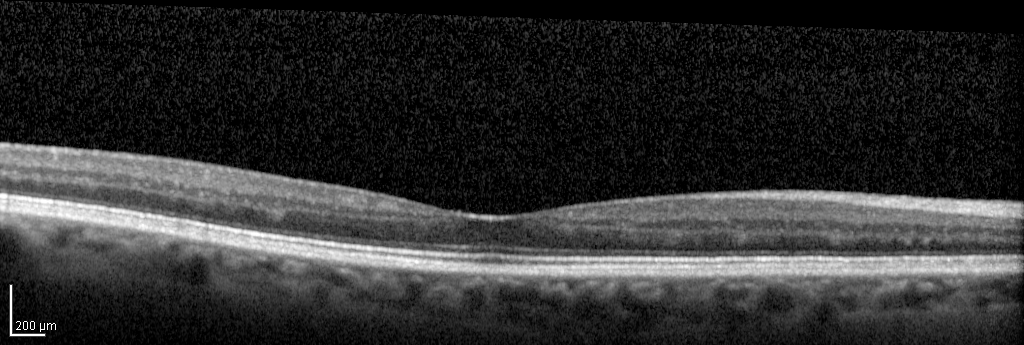
<scan>
  <modality>spectral-domain optical coherence tomography (SD-OCT) of the macula</modality>
  <subject>
    <sex>female</sex>
    <age>69</age>
    <eye>right eye</eye>
  </subject>
  <cohort>non-diabetic control</cohort>
  <etdrs_thickness_um>
    <central>258</central>
    <inner_temporal>300</inner_temporal>
    <inner_nasal>315</inner_nasal>
    <inner_superior>315</inner_superior>
    <inner_inferior>316</inner_inferior>
    <outer_temporal>279</outer_temporal>
    <outer_nasal>292</outer_nasal>
    <outer_superior>283</outer_superior>
    <outer_inferior>289</outer_inferior>
  </etdrs_thickness_um>
</scan>